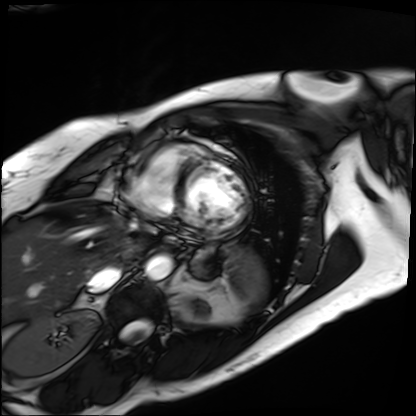
modality=cardiac MRI; subject group=patient.